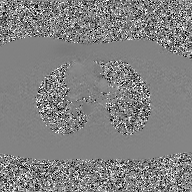
2D phase-contrast cine MRI of the ascending aorta, GAN super-resolution reconstruction.